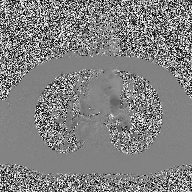
Summary:
2D phase-contrast cine MRI of the ascending aorta, high-resolution GRAPPA acquisition.